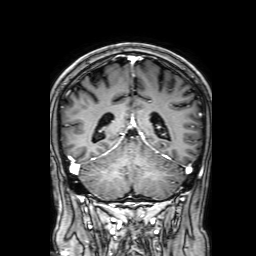
3 Tesla brain MRI. Series: 3D T1-weighted with SENSE. Study: ring-enhancing brain masses.